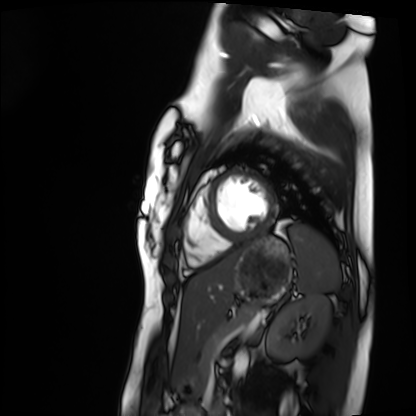
modality — cardiac MRI; subject group — healthy volunteer.